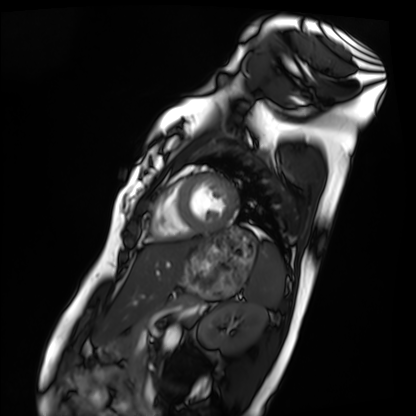
Cardiac MRI.
Subject group: healthy volunteer.